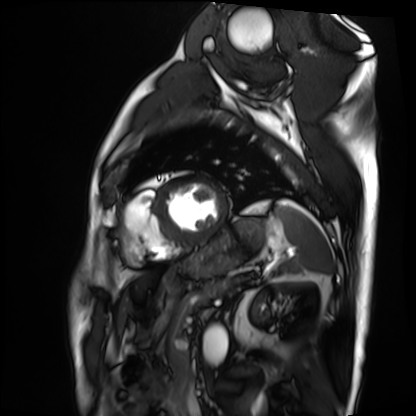
modality — cardiac MRI; subject group — patient.